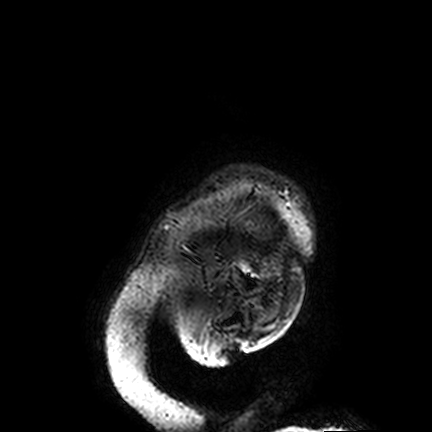
3 Tesla brain MRI. Series: FLAIR VISTA. Study: ring-enhancing brain masses.